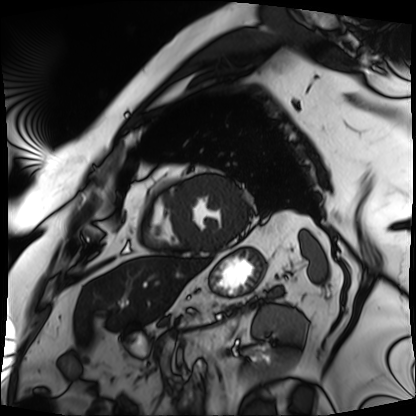
Clinical context: Cardiac MRI. Subject group: patient.